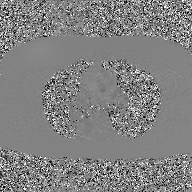
Case summary:
2D phase-contrast cine MRI of the ascending aorta, GAN super-resolution reconstruction.